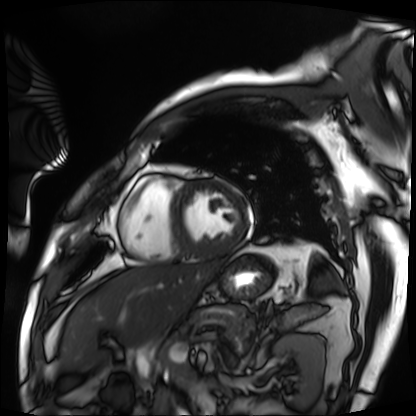
Cardiac MRI. Subject group: patient.